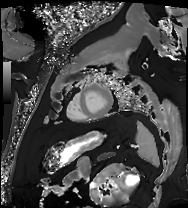
modality = cardiac MRI | subject group = patient.